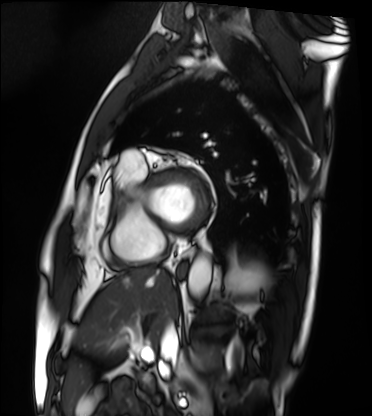
modality: cardiac MRI
cohort: patient